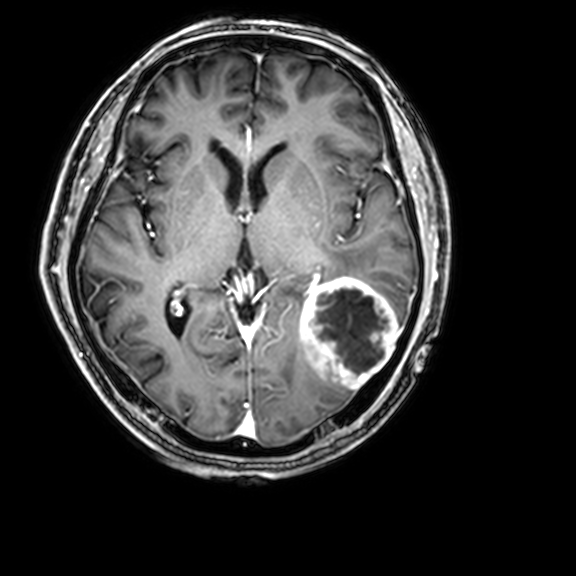
Summary: 3 Tesla brain MRI. Series: 3D T1-weighted with CLEAR. Study: ring-enhancing brain masses.